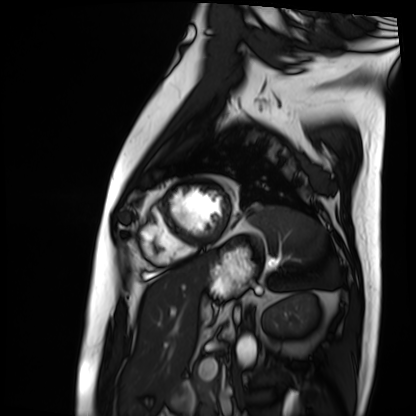
– modality: cardiac MRI
– subject group: patient